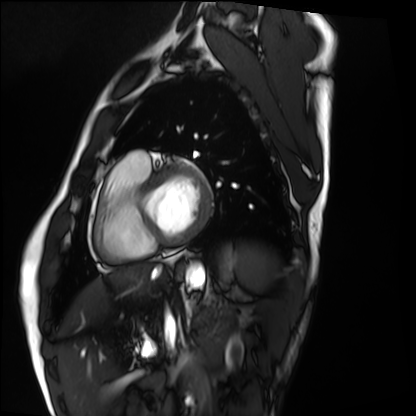
Summary: Cardiac MRI. Subject group: healthy volunteer.